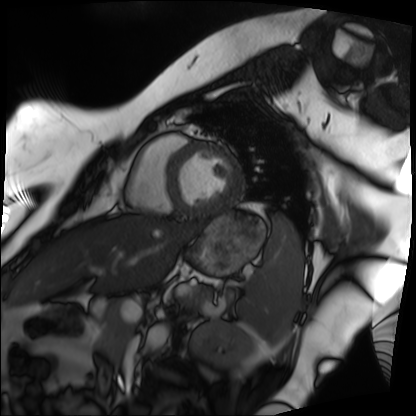
{
  "modality": "cardiac MRI",
  "cohort": "patient"
}